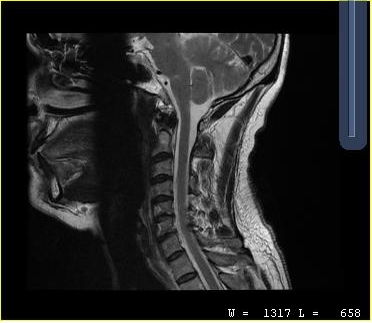
Q: What kind of scan is this?
A: MRI of the cervical spine.
Study: cervical spondylosis.